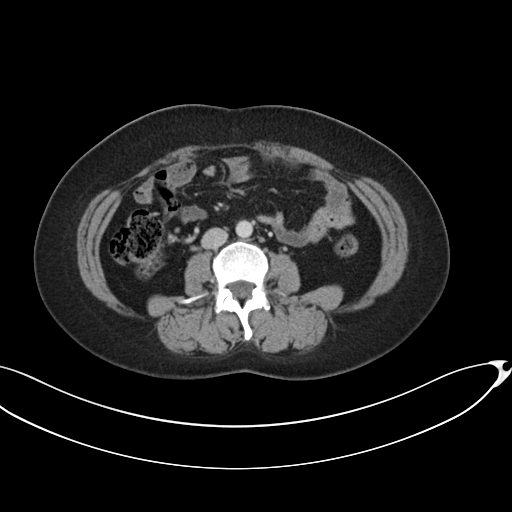
Case summary:
Multiphase abdominal CT, liver, portal venous phase. Patient: female, age 42. History: prior chemotherapy.